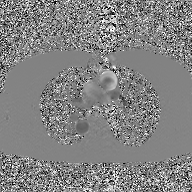
Q: What kind of scan is this?
A: 2D phase-contrast cine MRI of the ascending aorta, GAN super-resolution reconstruction.